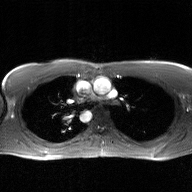
Summary:
2D phase-contrast cine MRI of the ascending aorta, GAN super-resolution reconstruction.